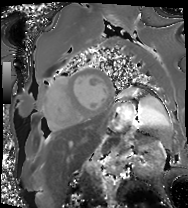
Summary:
Cardiac MRI. Subject group: patient.